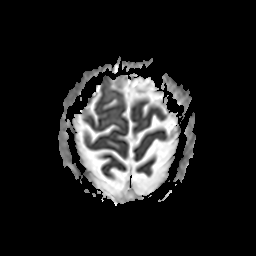
<record>
<modality>
  <type>brain MRI</type>
  <field_strength>3T</field_strength>
</modality>
<series>apparent diffusion coefficient (ADC) map</series>
<study_topic>ring-enhancing brain masses</study_topic>
</record>